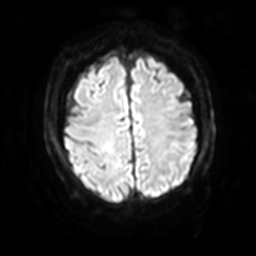
3 Tesla brain MRI. Series: diffusion-weighted imaging with SENSE (WIP). Study: ring-enhancing brain masses.